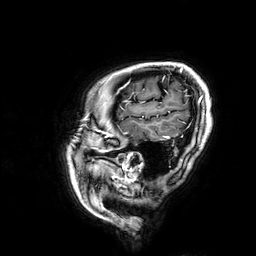
modality = 3 Tesla brain MRI
series = 3D T1-weighted
study = ring-enhancing brain masses